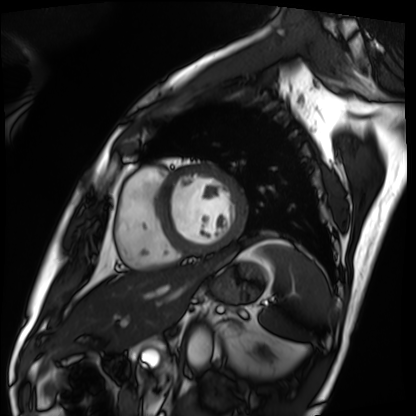
Case:
* modality · cardiac MRI
* subject group · patient